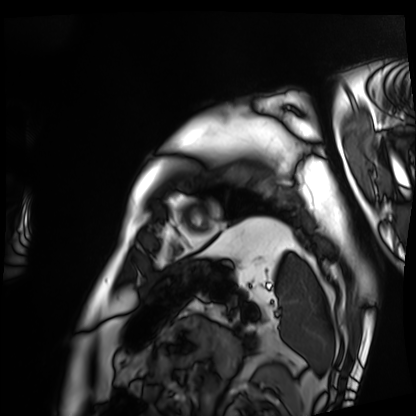
Cardiac MRI.
Subject group: patient.